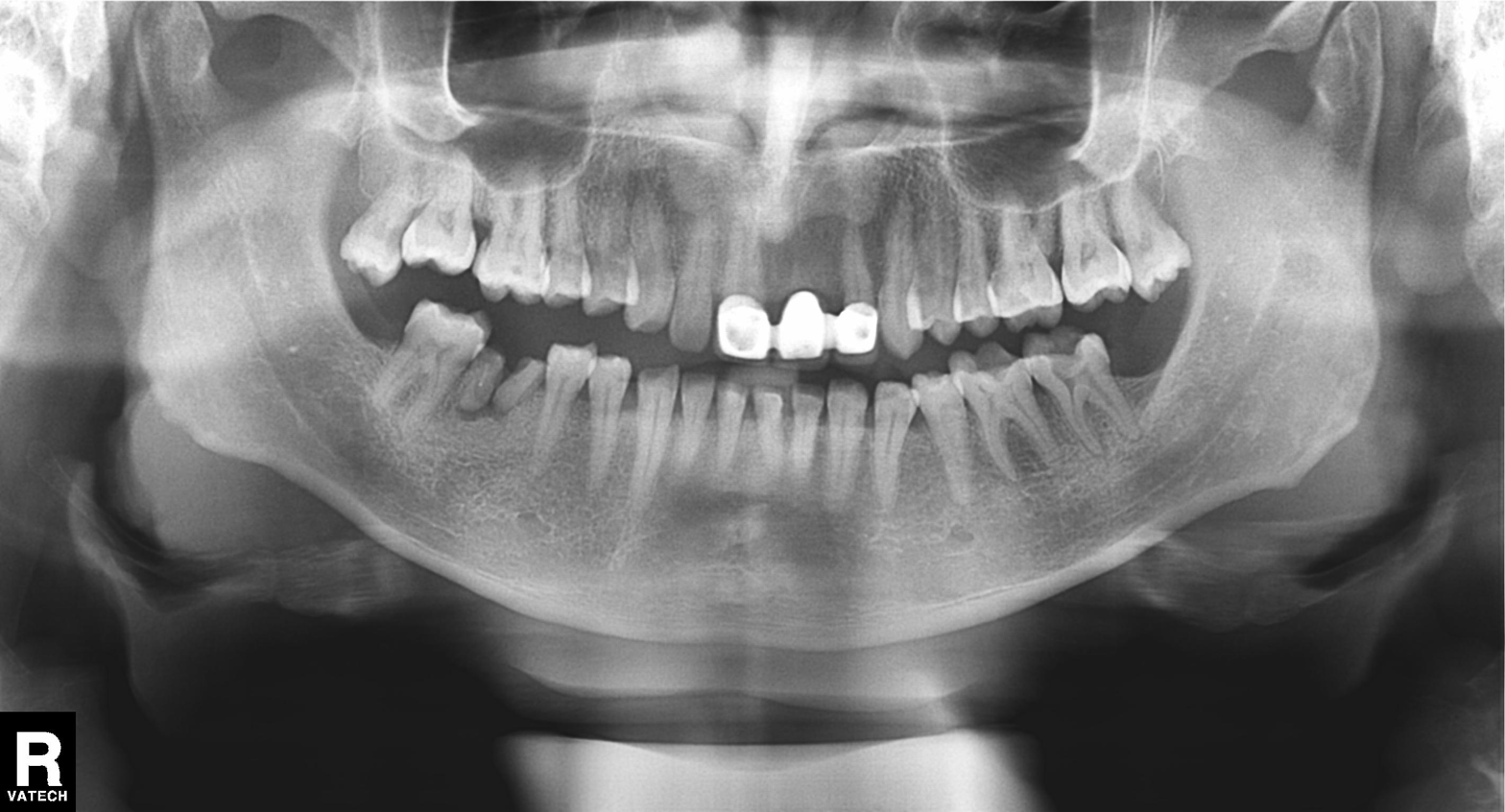
modality=panoramic dental radiograph (orthopantomogram)
finding=dental caries (cavities)